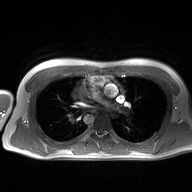
2D phase-contrast cine MRI of the ascending aorta, high-resolution GRAPPA acquisition.